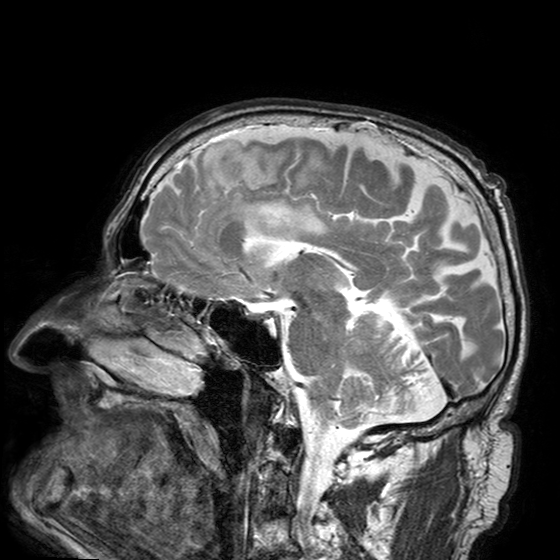
<case>
<modality>
  <type>brain MRI</type>
  <field_strength>3T</field_strength>
</modality>
<series>T2-weighted turbo spin echo with SENSE</series>
<study_topic>ring-enhancing brain masses</study_topic>
</case>